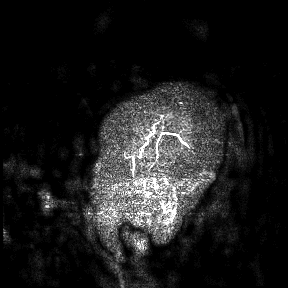
Q: What kind of scan is this?
A: 3 Tesla brain MRI.
Study: ring-enhancing brain masses.